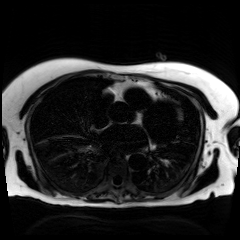
Chemical-shift-encoded cardiac MRI.